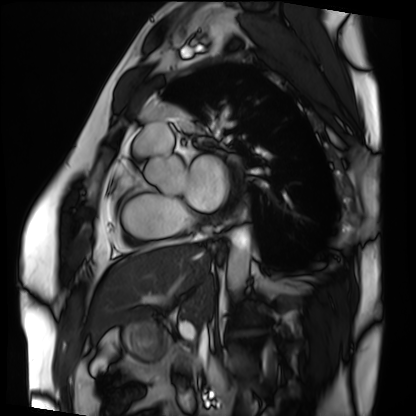
modality: cardiac MRI | subject group: patient.